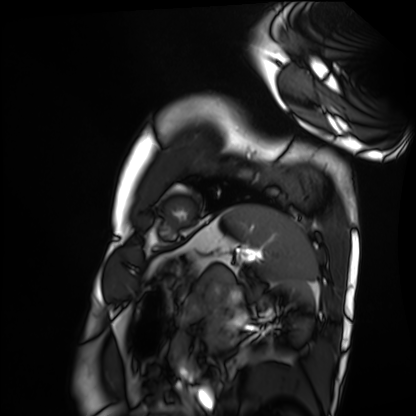
Q: What kind of scan is this?
A: Cardiac MRI.
Subject group: healthy volunteer.